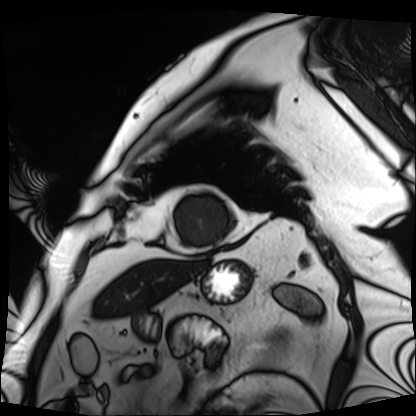
modality=cardiac MRI; subject group=patient.